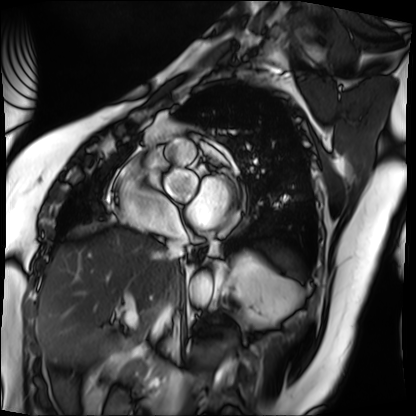
Summary:
Cardiac MRI. Subject group: patient.